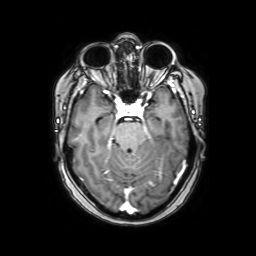
Summary: 3 Tesla brain MRI. Series: axial with contrast. Study: ring-enhancing brain masses.